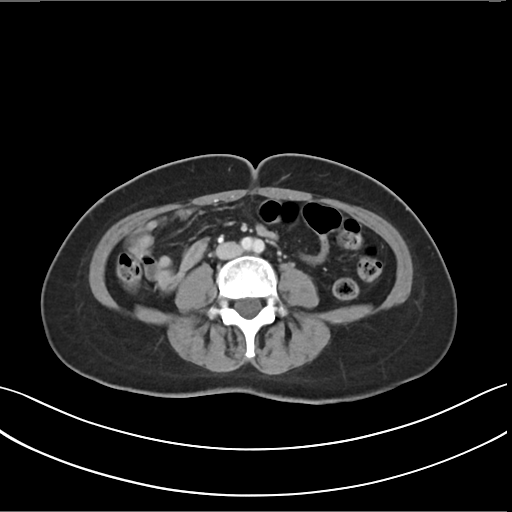
Summary: Multiphase abdominal CT, liver, arterial phase. Patient: female, age 46. History: prior chemotherapy.